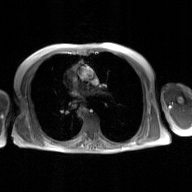
  modality:
    type: 2D phase-contrast cine MRI
    region: ascending aorta
    reconstruction: GAN super-resolution reconstruction